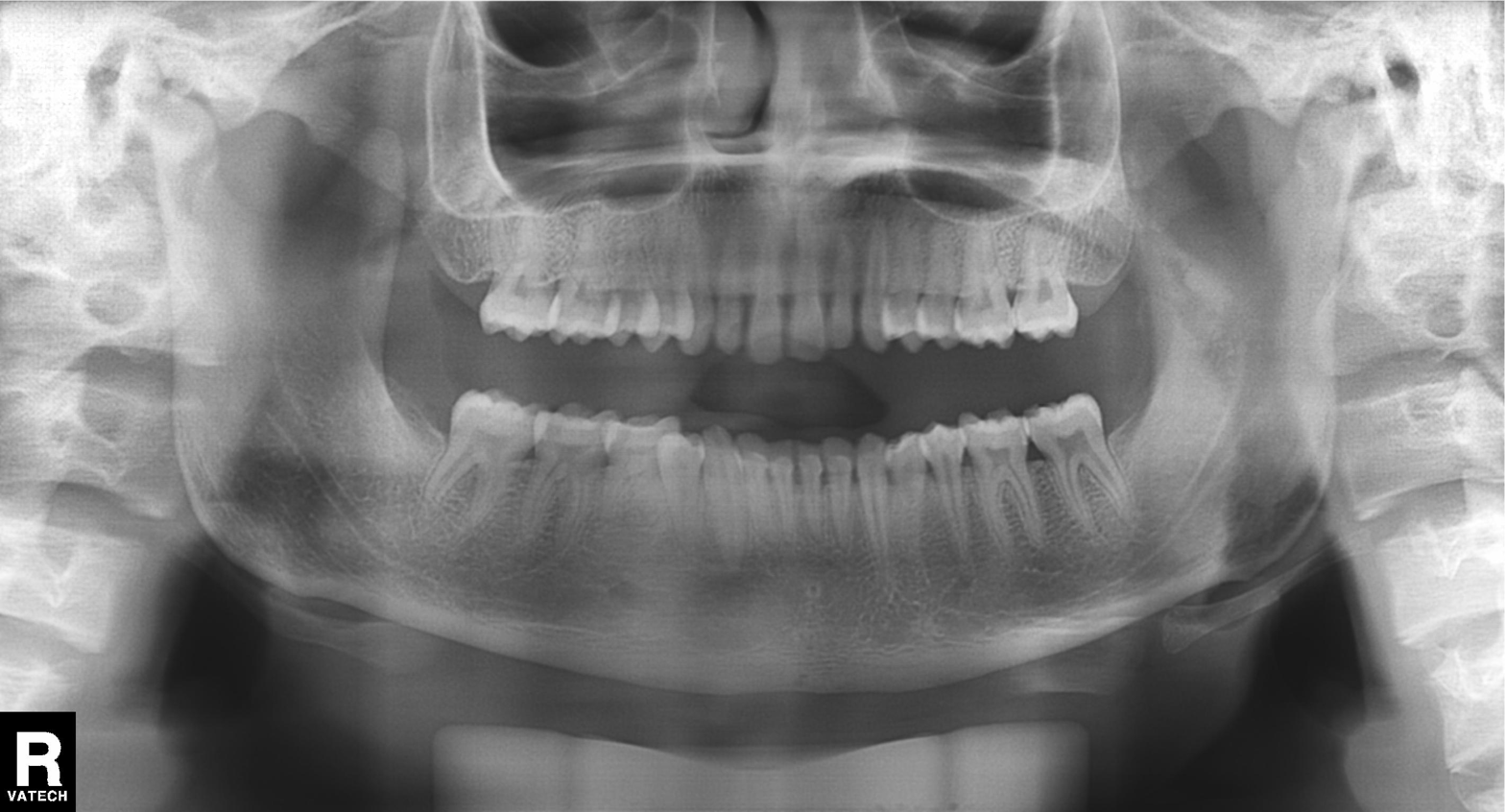
  modality: panoramic dental radiograph (orthopantomogram)
  finding: alveolar bone loss